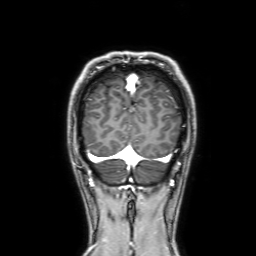
Clinical context: 3 Tesla brain MRI. Series: 3D T1-weighted with SENSE. Study: ring-enhancing brain masses.